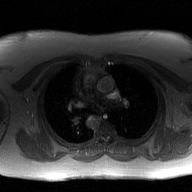
| field | value |
|---|---|
| modality | 2D phase-contrast cine MRI of the ascending aorta, GAN super-resolution reconstruction |